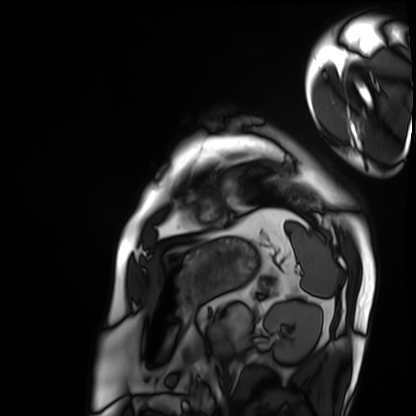
{"modality": "cardiac MRI", "cohort": "patient"}